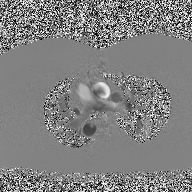
modality = 2D phase-contrast cine MRI of the ascending aorta.